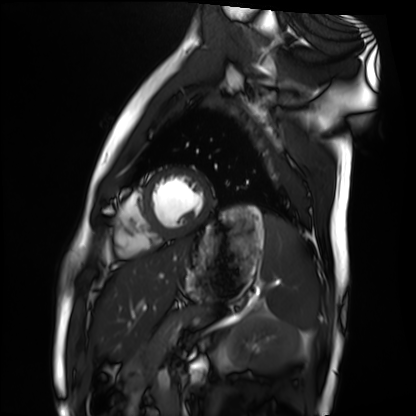
{"modality": "cardiac MRI", "cohort": "healthy volunteer"}